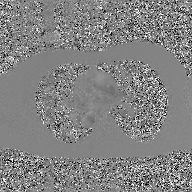
Clinical context:
2D phase-contrast cine MRI of the ascending aorta, GAN super-resolution reconstruction.